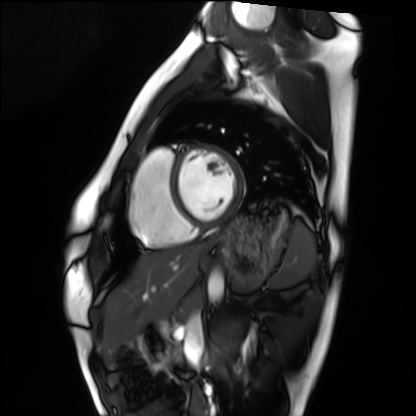
Cardiac MRI. Subject group: healthy volunteer.